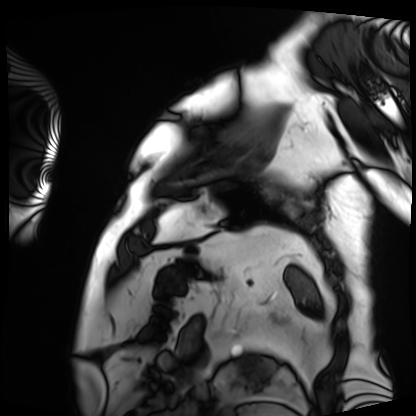
Cardiac MRI.
Subject group: patient.